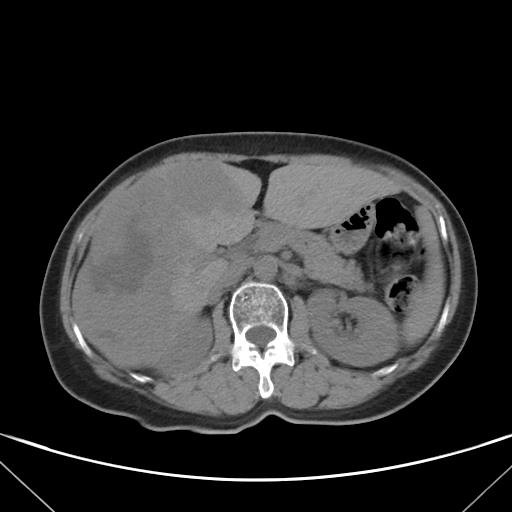
| field | value |
|---|---|
| modality | multiphase abdominal CT, liver, non-contrast phase |
| patient | female, age 58 |